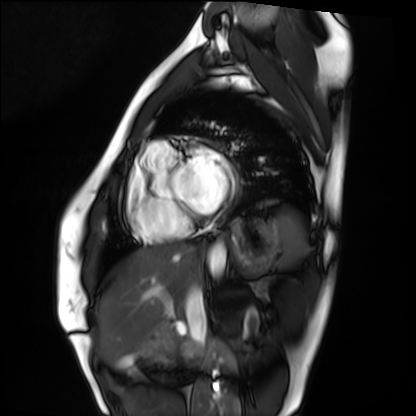
Cardiac MRI. Subject group: healthy volunteer.